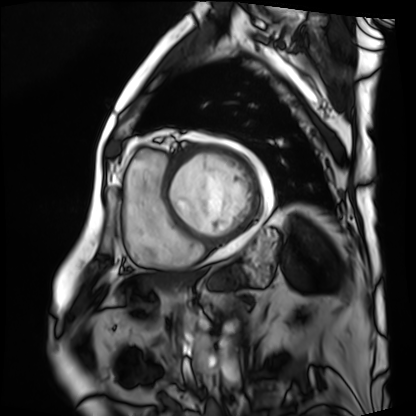
Cardiac MRI. Subject group: patient.